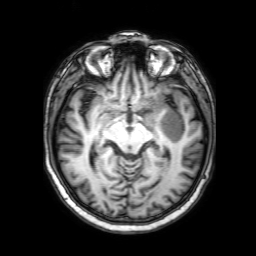
Case summary: 3 Tesla brain MRI. Series: 3D T1-weighted with SENSE. Study: ring-enhancing brain masses.